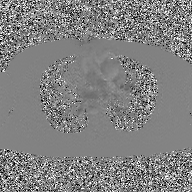
2D phase-contrast cine MRI of the ascending aorta, GAN super-resolution reconstruction.